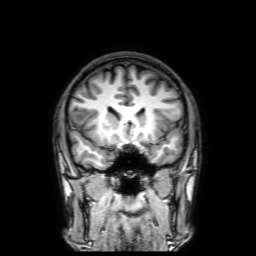
Case summary: 3 Tesla brain MRI. Series: 3D T1-weighted with SENSE. Study: ring-enhancing brain masses.